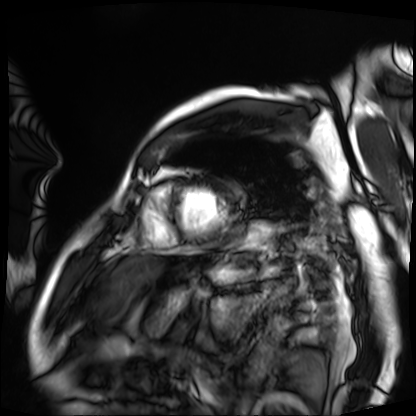
Case:
• modality: cardiac MRI
• subject group: patient